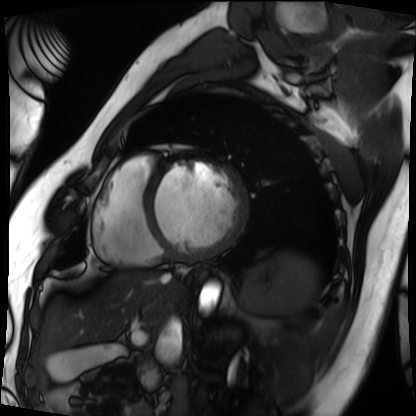
Q: What kind of scan is this?
A: Cardiac MRI.
Subject group: patient.